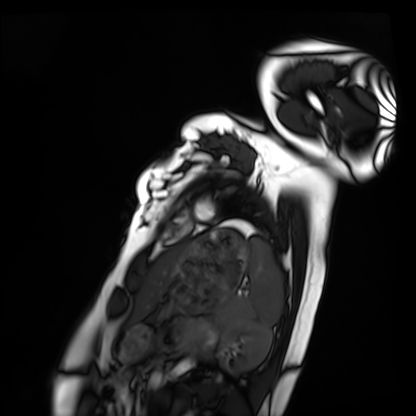
Cardiac MRI.
Subject group: healthy volunteer.